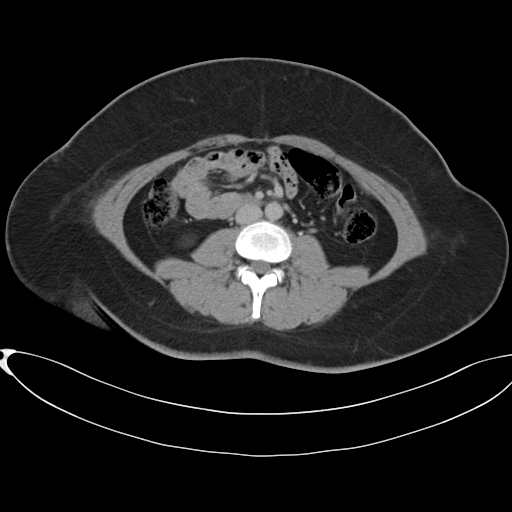
  modality:
    type: multiphase abdominal CT
    region: liver
    phase: delayed
  patient:
    sex: female
    age: 37
  history:
    - prior chemotherapy